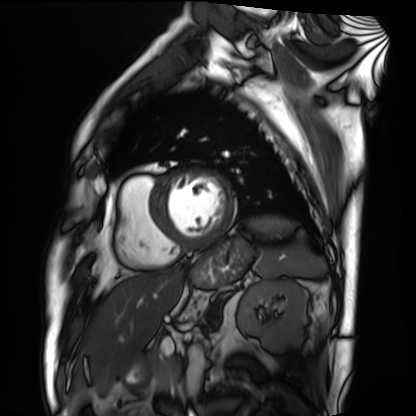
Cardiac MRI. Subject group: patient.